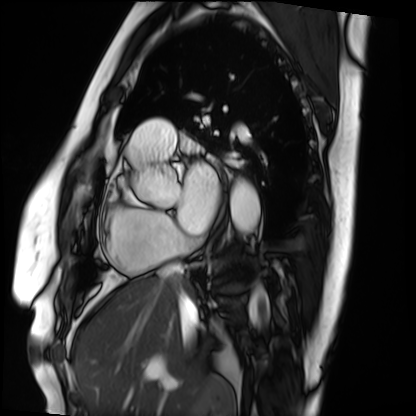
Cardiac MRI.
Subject group: patient.